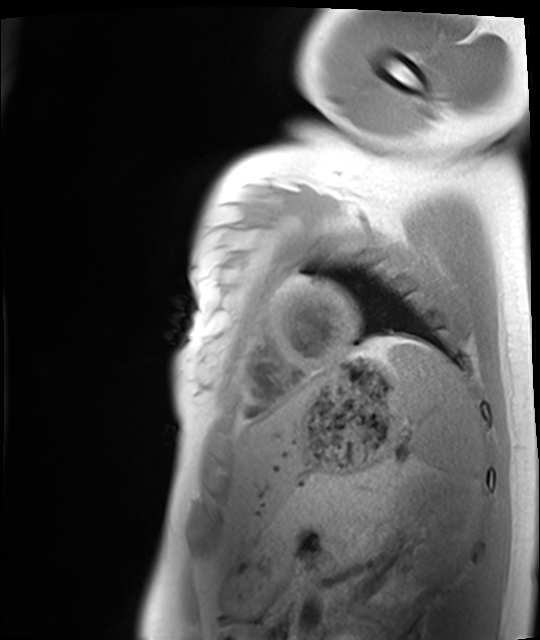
<study>
<modality>cardiac MRI</modality>
<cohort>healthy volunteer</cohort>
</study>